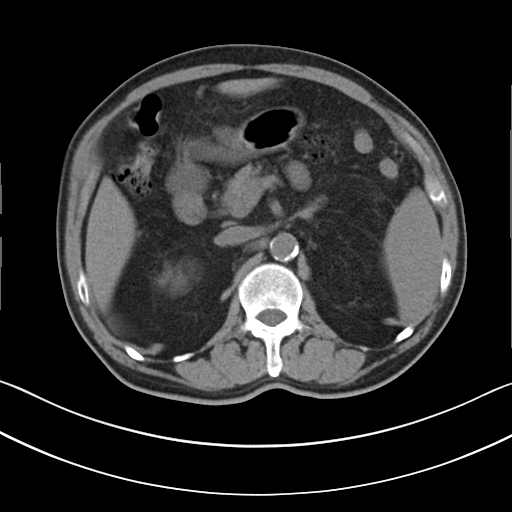
modality — multiphase abdominal CT, liver, non-contrast phase | patient — male, age 69 | history — cirrhosis, viral hepatitis.